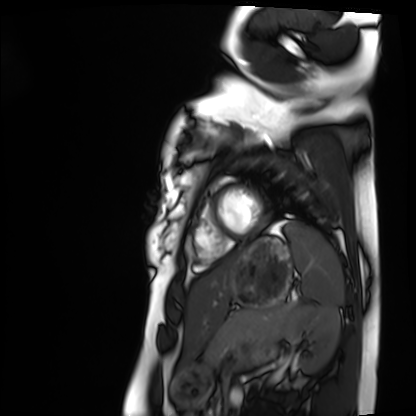
Q: What kind of scan is this?
A: Cardiac MRI.
Subject group: healthy volunteer.